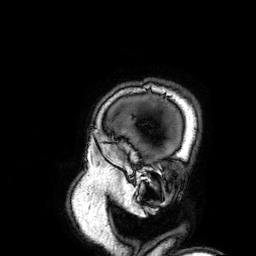
3 Tesla brain MRI. Study: ring-enhancing brain masses.